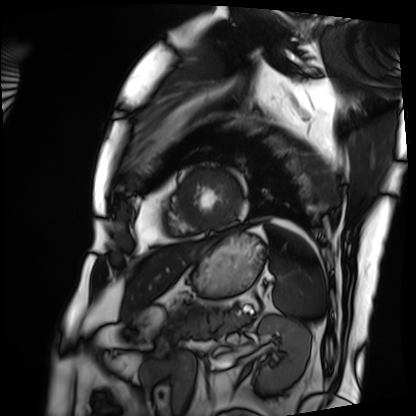
{
  "modality": "cardiac MRI",
  "cohort": "patient"
}